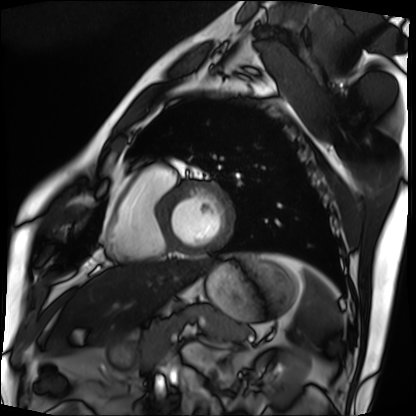
Case:
* modality: cardiac MRI
* subject group: patient